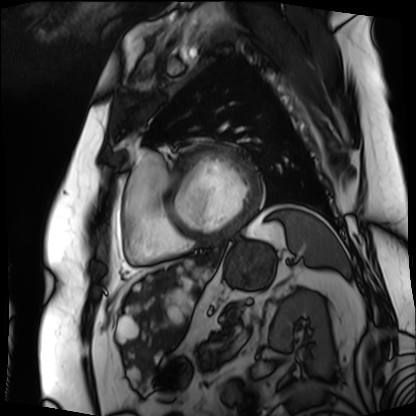
modality: cardiac MRI
subject group: patient